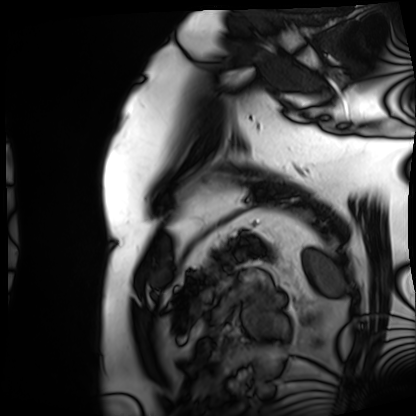
- modality — cardiac MRI
- subject group — patient